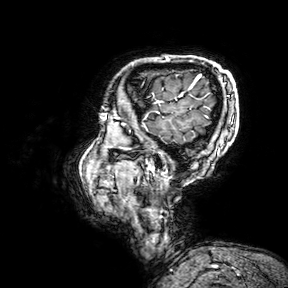
Case summary: 3 Tesla brain MRI. Series: 3D T1-weighted turbo field echo with SENSE. Study: ring-enhancing brain masses.